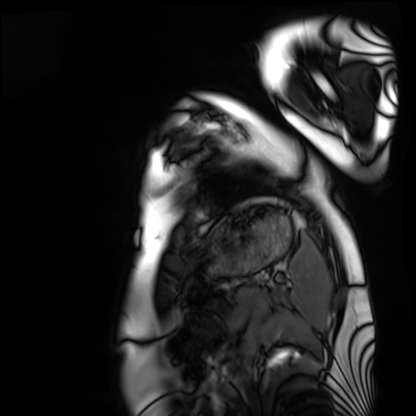
Cardiac MRI.
Subject group: healthy volunteer.